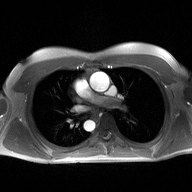
2D phase-contrast cine MRI of the ascending aorta, high-resolution GRAPPA acquisition.